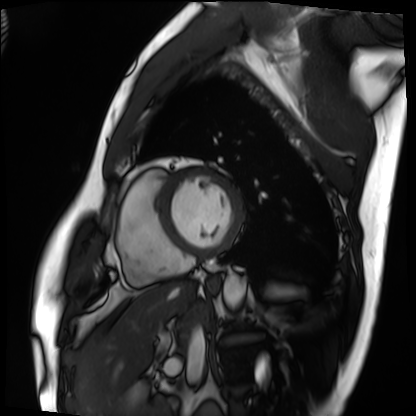
| field | value |
|---|---|
| modality | cardiac MRI |
| subject group | patient |